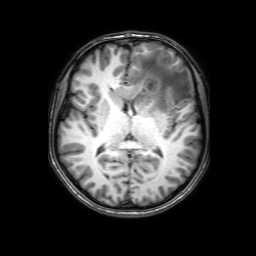
modality = 3 Tesla brain MRI | series = 3D T1-weighted with SENSE | study = ring-enhancing brain masses.